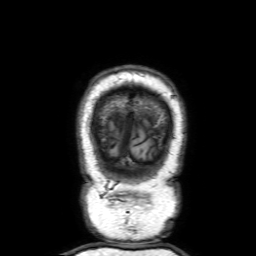
3 Tesla brain MRI. Series: 3D T1-weighted with SENSE. Study: ring-enhancing brain masses.